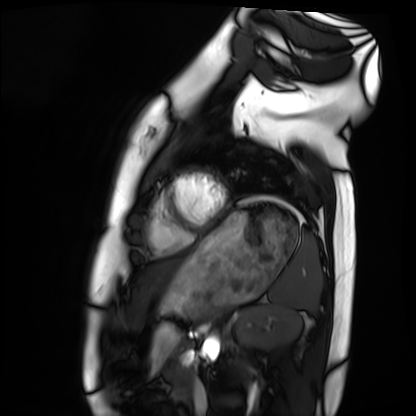
Cardiac MRI. Subject group: healthy volunteer.